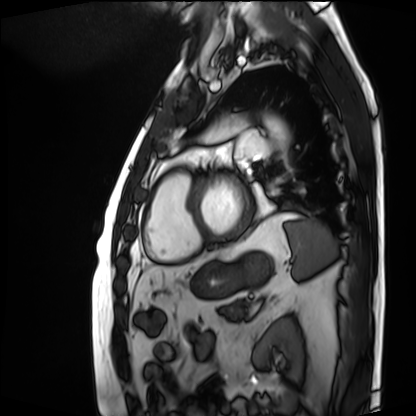
modality: cardiac MRI
cohort: patient